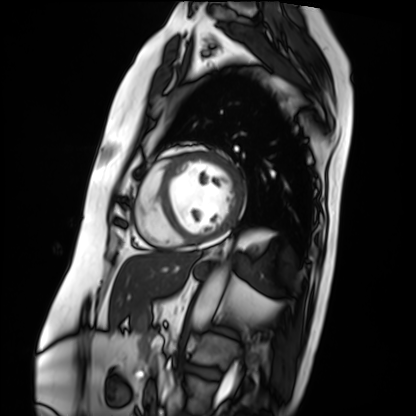
Cardiac MRI. Subject group: patient.